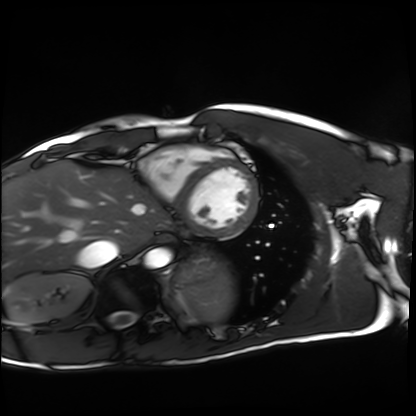
Case:
* modality: cardiac MRI
* subject group: healthy volunteer